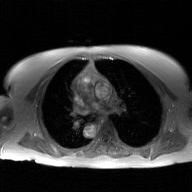
2D phase-contrast cine MRI of the ascending aorta, GAN super-resolution reconstruction.